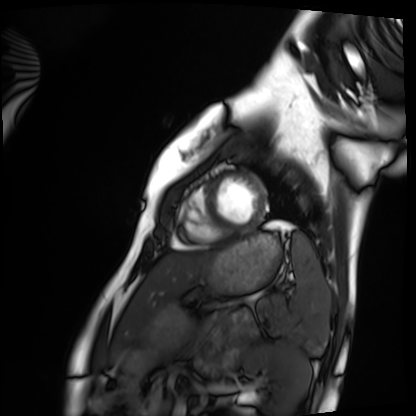
Case summary:
Cardiac MRI. Subject group: healthy volunteer.